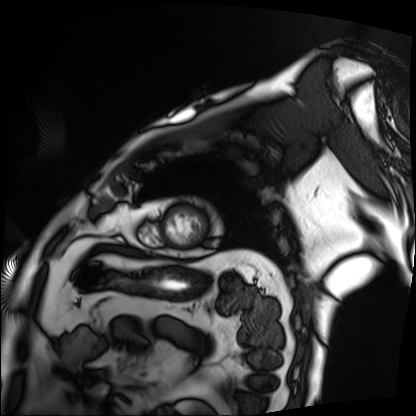
Cardiac MRI.
Subject group: patient.